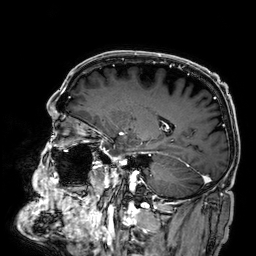
Summary: 3 Tesla brain MRI. Series: 3D T1-weighted. Study: ring-enhancing brain masses.